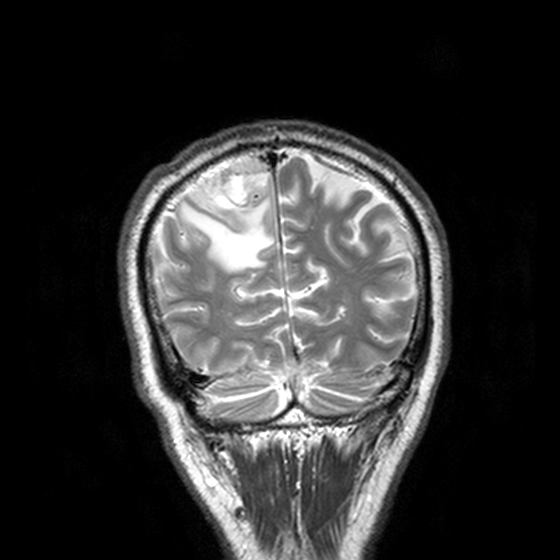
modality = 3 Tesla brain MRI; series = T2-weighted turbo spin echo, 3 mm; study = ring-enhancing brain masses.